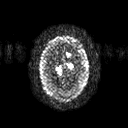
modality:
  type: brain MRI
  field_strength: 3T
series: diffusion tensor imaging (medium iso)
study_topic: ring-enhancing brain masses